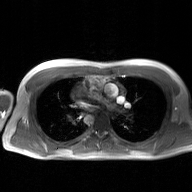
– modality · 2D phase-contrast cine MRI of the ascending aorta, GAN super-resolution reconstruction